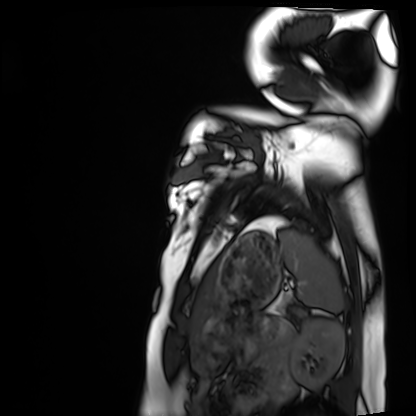
Summary:
Cardiac MRI. Subject group: healthy volunteer.